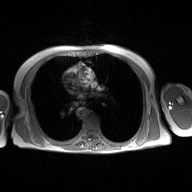
2D phase-contrast cine MRI of the ascending aorta, high-resolution GRAPPA acquisition.